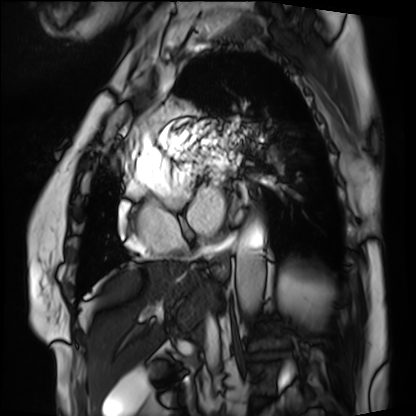
Q: What kind of scan is this?
A: Cardiac MRI.
Subject group: patient.